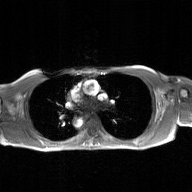
| field | value |
|---|---|
| modality | 2D phase-contrast cine MRI of the ascending aorta, GAN super-resolution reconstruction |